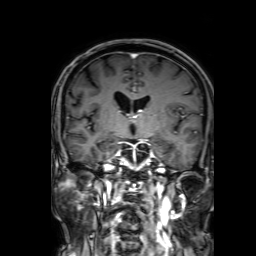
3 Tesla brain MRI. Study: ring-enhancing brain masses.